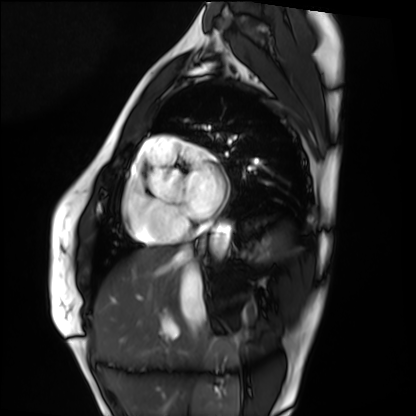
Q: What kind of scan is this?
A: Cardiac MRI.
Subject group: healthy volunteer.